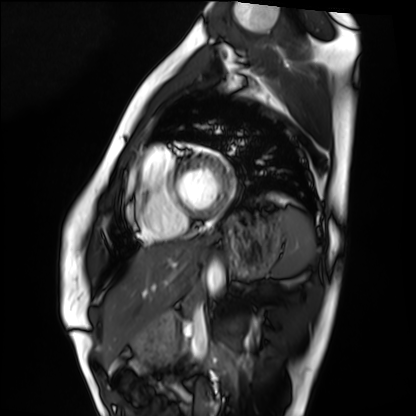
modality: cardiac MRI
cohort: healthy volunteer